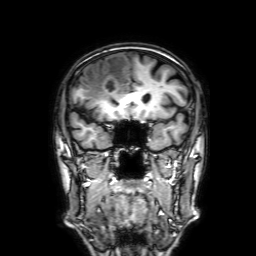
3 Tesla brain MRI. Series: 3D T1-weighted with SENSE. Study: ring-enhancing brain masses.